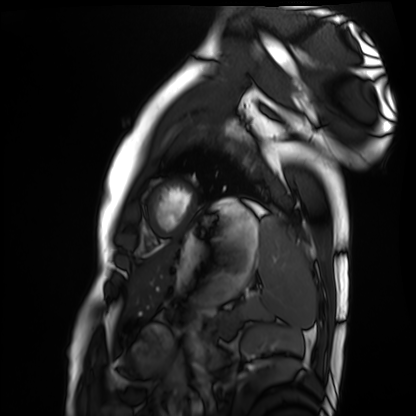
• modality — cardiac MRI
• subject group — healthy volunteer